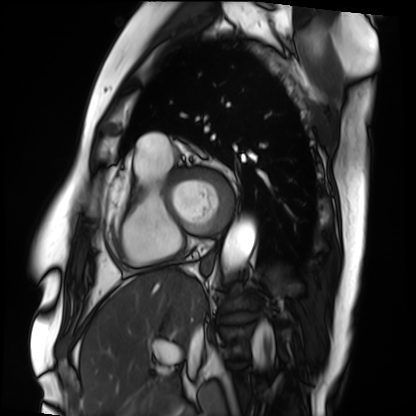
Cardiac MRI. Subject group: patient.